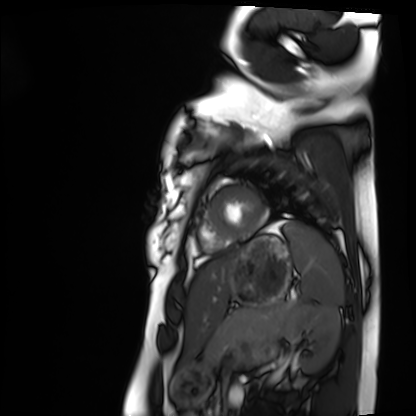
Summary:
Cardiac MRI. Subject group: healthy volunteer.